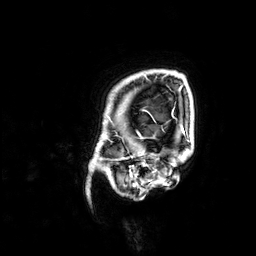
3 Tesla brain MRI. Series: 3D T1-weighted. Study: ring-enhancing brain masses.